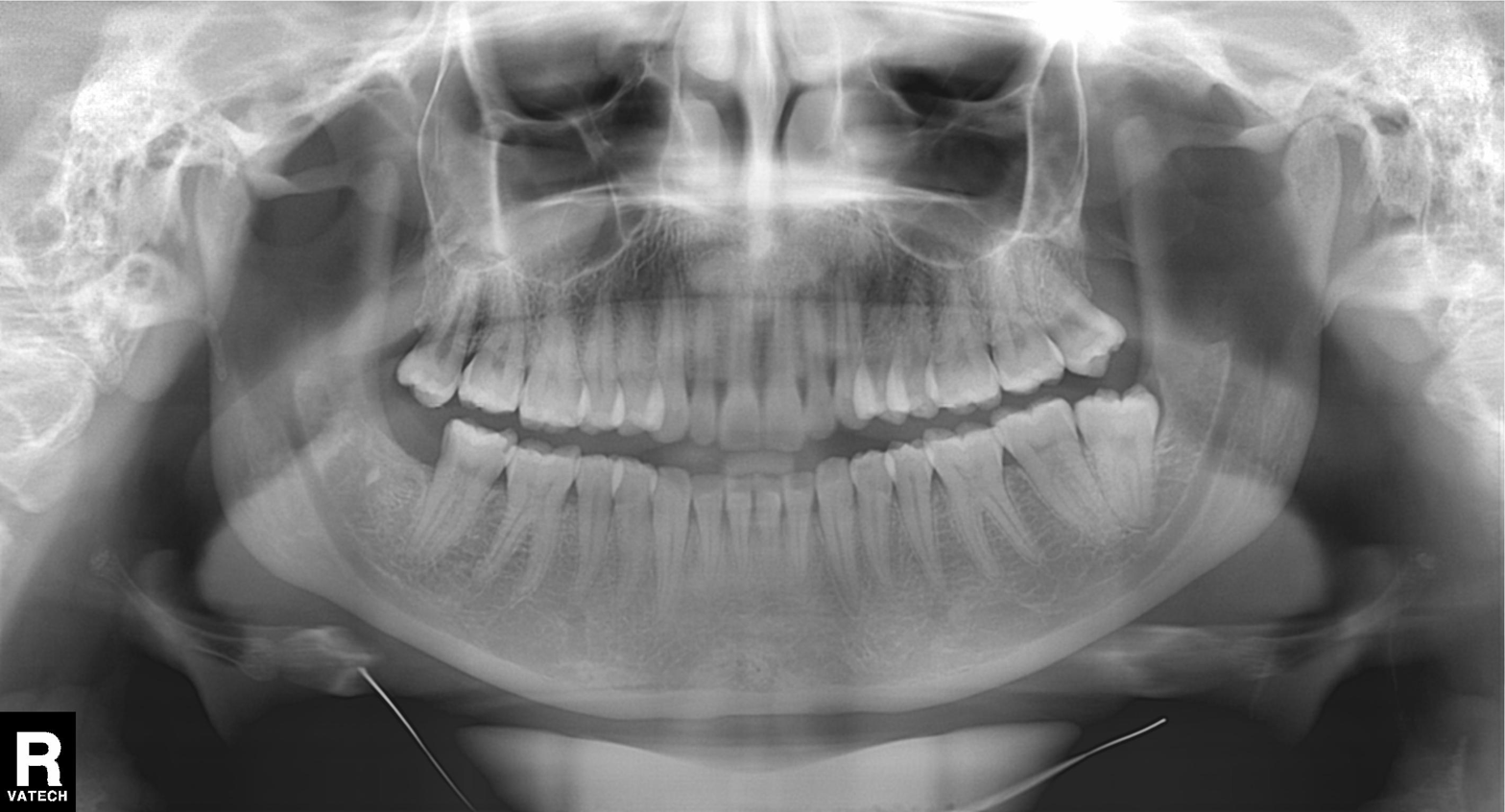
Panoramic dental radiograph (orthopantomogram). Finding: tooth impaction.